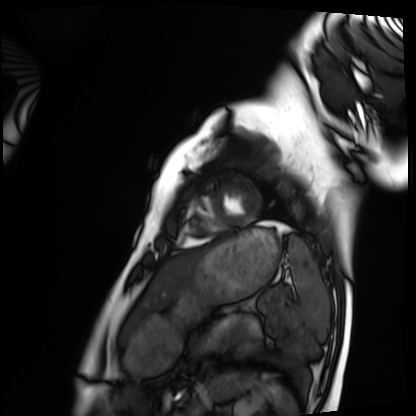
Q: What kind of scan is this?
A: Cardiac MRI.
Subject group: healthy volunteer.